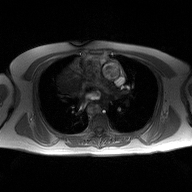
<study>
<modality>
  <type>2D phase-contrast cine MRI</type>
  <region>ascending aorta</region>
  <reconstruction>high-resolution GRAPPA acquisition</reconstruction>
</modality>
</study>